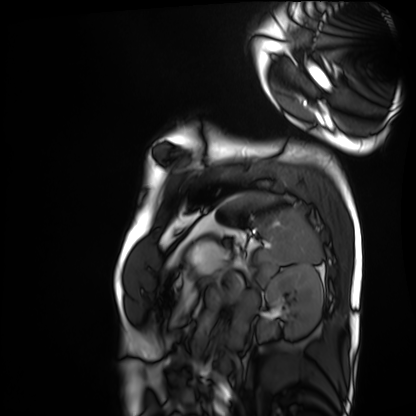
Cardiac MRI. Subject group: healthy volunteer.